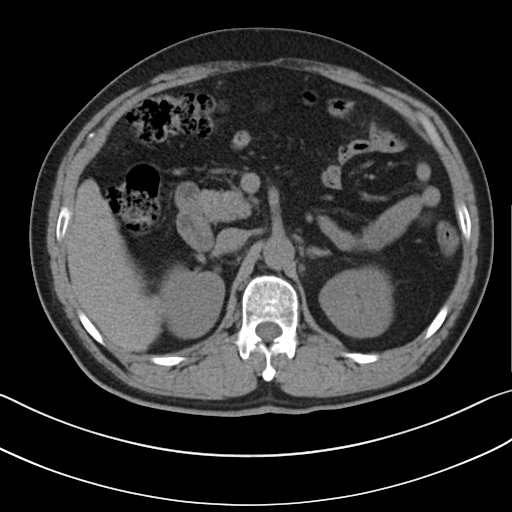
Multiphase abdominal CT, liver, non-contrast phase.
Patient: male, age 52.
History: cirrhosis, viral hepatitis.